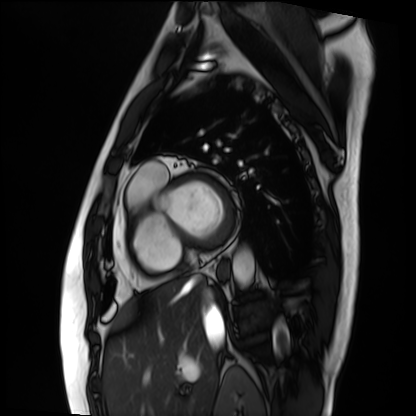
Cardiac MRI. Subject group: patient.